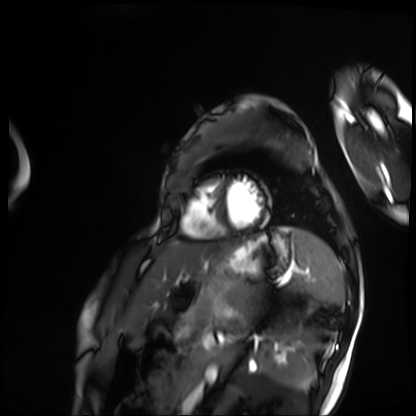
{
  "modality": "cardiac MRI",
  "cohort": "patient"
}